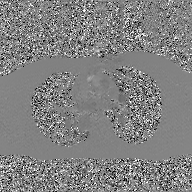
- modality · 2D phase-contrast cine MRI of the ascending aorta, GAN super-resolution reconstruction